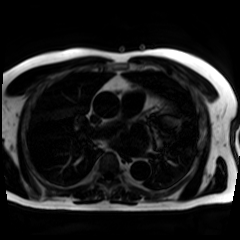
Summary:
Chemical-shift-encoded cardiac MRI.